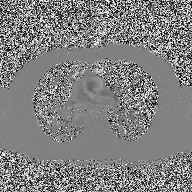
• modality: 2D phase-contrast cine MRI of the ascending aorta